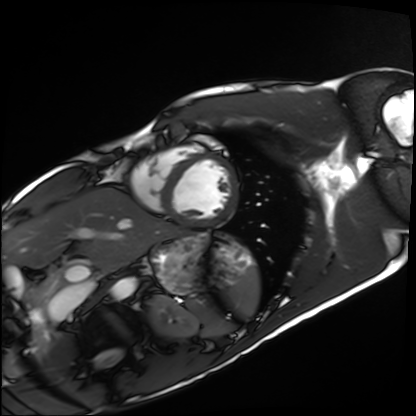
Cardiac MRI. Subject group: healthy volunteer.